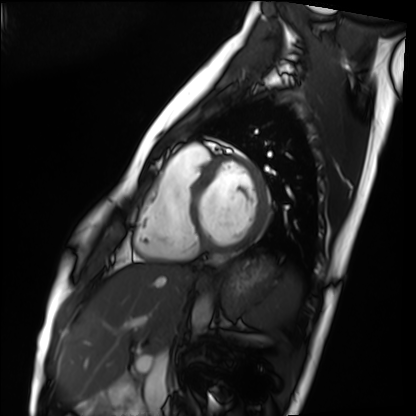
Cardiac MRI. Subject group: healthy volunteer.